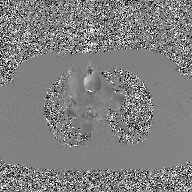
Case summary:
2D phase-contrast cine MRI of the ascending aorta, GAN super-resolution reconstruction.